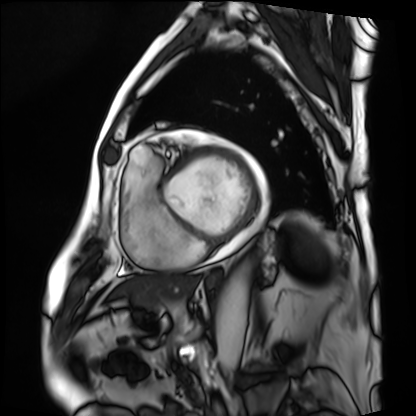
Cardiac MRI. Subject group: patient.